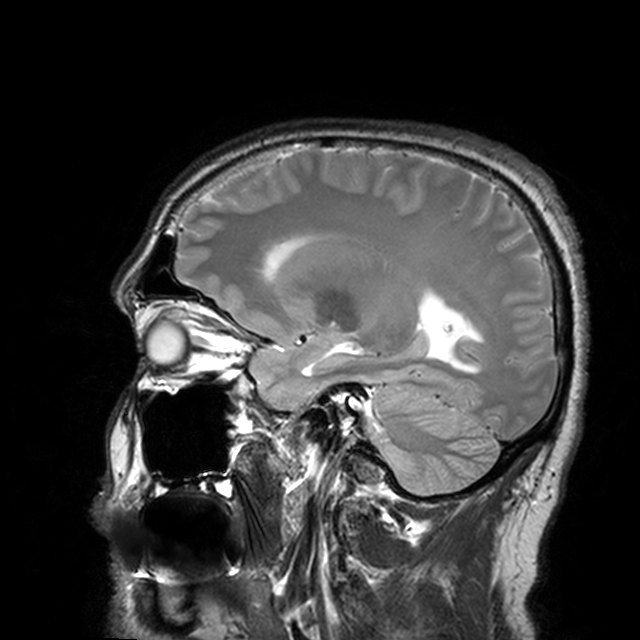
- modality · 3 Tesla brain MRI
- series · T2-weighted turbo spin echo with CLEAR
- study · ring-enhancing brain masses